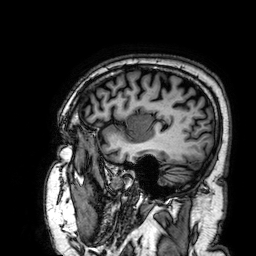
<record>
  <modality>
    <type>brain MRI</type>
    <field_strength>3T</field_strength>
  </modality>
  <series>3D T1-weighted</series>
  <study_topic>ring-enhancing brain masses</study_topic>
</record>